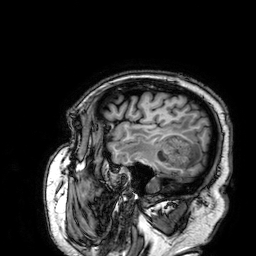
Summary: 3 Tesla brain MRI. Series: 3D T1-weighted. Study: ring-enhancing brain masses.